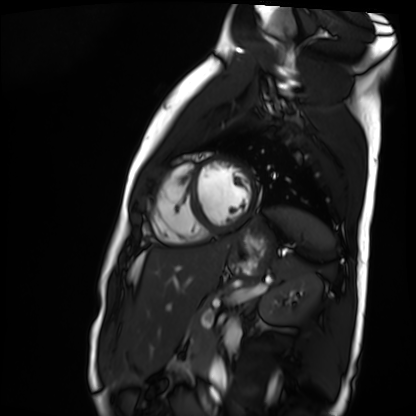
• modality — cardiac MR image of the myocardium
• subject cohort — healthy volunteer